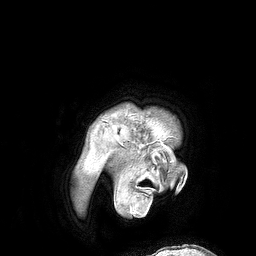
Summary:
3 Tesla brain MRI. Series: 3D T1-weighted turbo field echo. Study: ring-enhancing brain masses.